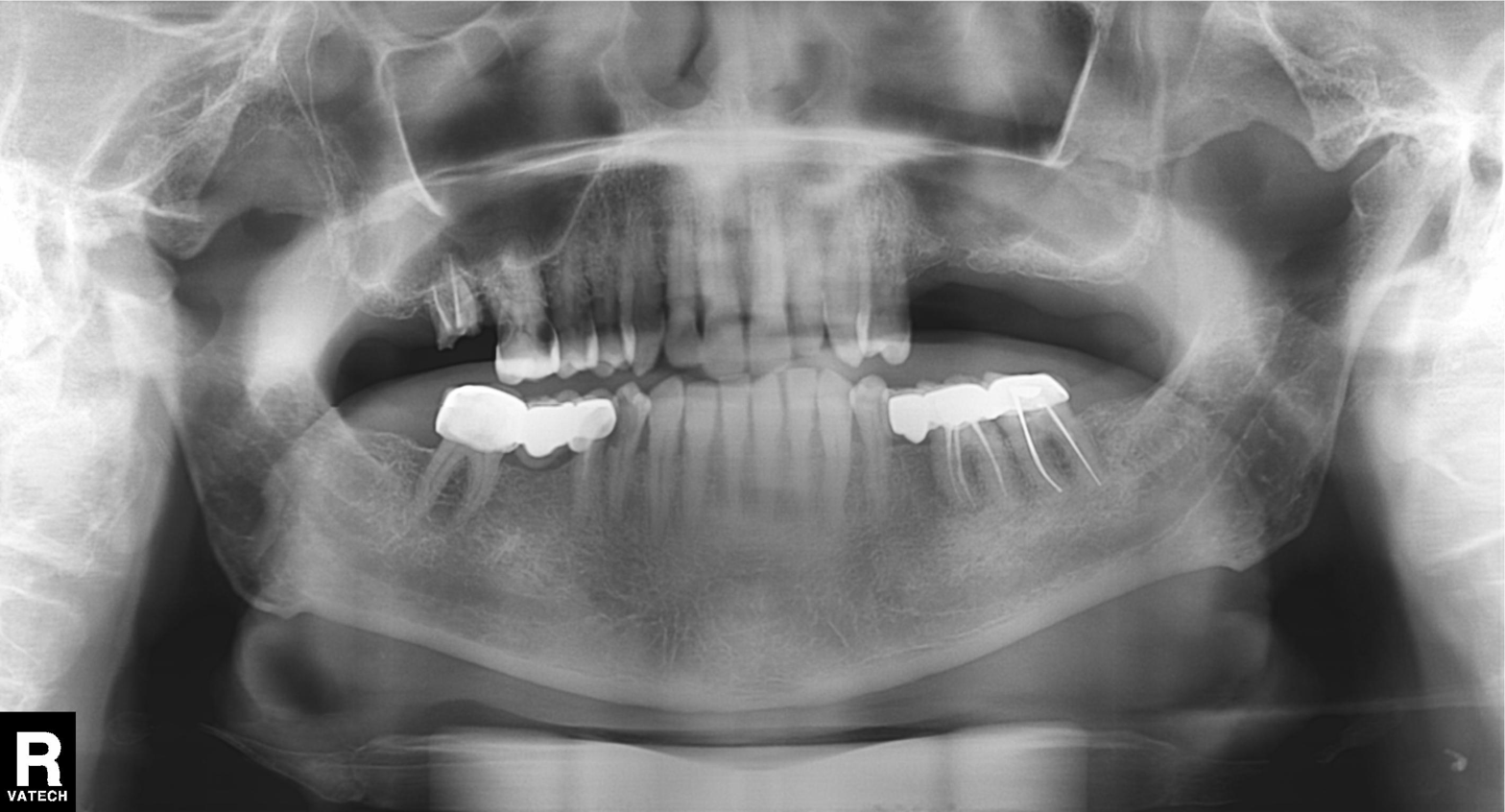
Q: What kind of scan is this?
A: Panoramic dental radiograph (orthopantomogram).
Q: What is the radiographic finding?
A: Dental caries (cavities).